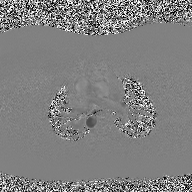
2D phase-contrast cine MRI of the ascending aorta, high-resolution GRAPPA acquisition.